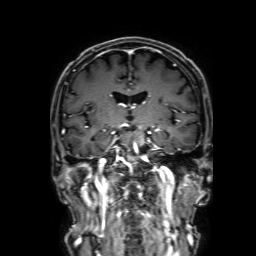
3 Tesla brain MRI. Series: 3D T1-weighted with SENSE. Study: ring-enhancing brain masses.